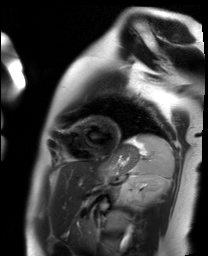
modality: cardiac MR image of the myocardium; subject cohort: healthy volunteer.